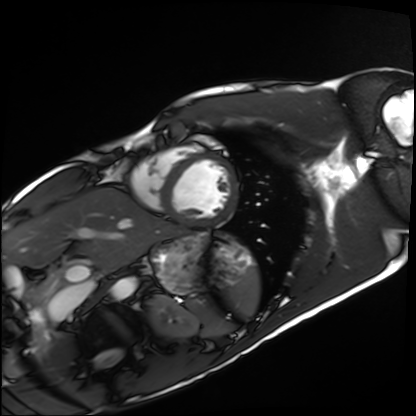
– modality: cardiac MRI
– subject group: healthy volunteer